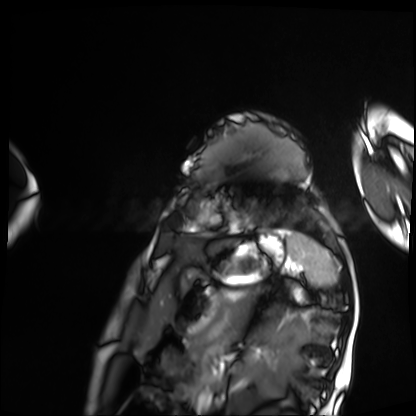
modality: cardiac MRI | subject group: patient.